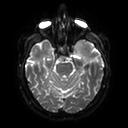
* modality · 3 Tesla brain MRI
* series · diffusion tensor imaging (medium iso)
* study · ring-enhancing brain masses